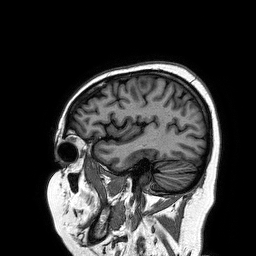
Summary: 3 Tesla brain MRI. Series: 3D T1-weighted turbo field echo. Study: ring-enhancing brain masses.